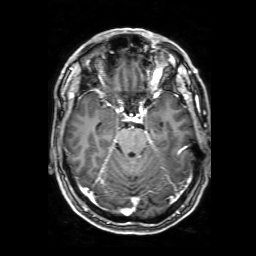
3 Tesla brain MRI. Series: 3D T1-weighted with SENSE. Study: ring-enhancing brain masses.